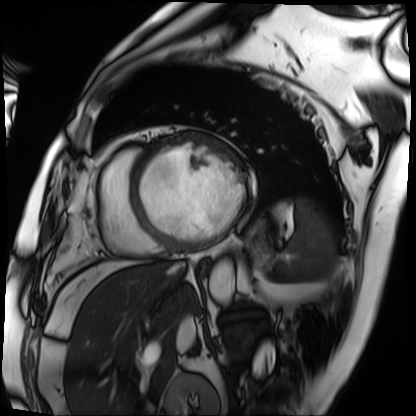
Case:
• modality · cardiac MRI
• subject group · patient